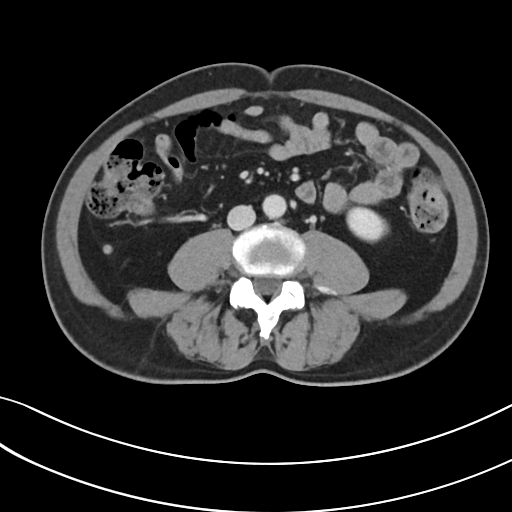
Q: What kind of scan is this?
A: Multiphase abdominal CT, liver, portal venous phase.
Q: Patient?
A: Male, age 52.
Q: History?
A: Prior chemotherapy.